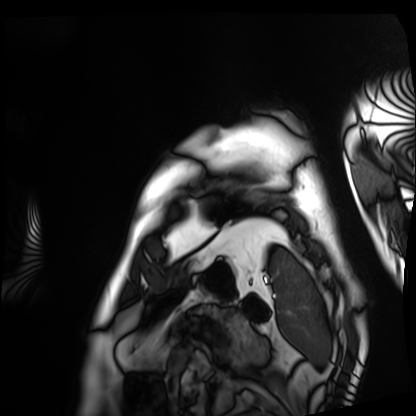
Cardiac MRI. Subject group: patient.